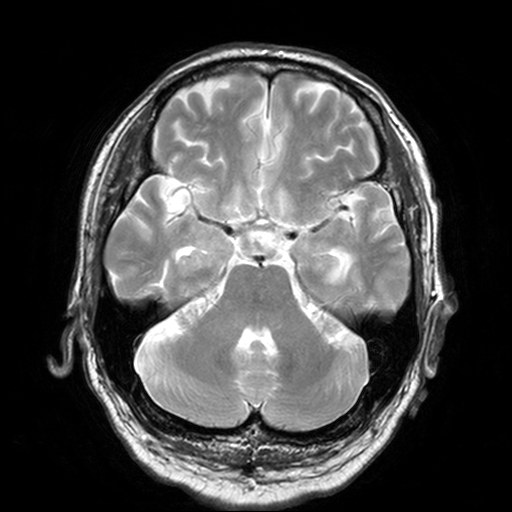
3 Tesla brain MRI. Series: T2-weighted turbo spin echo, 3 mm. Study: ring-enhancing brain masses.